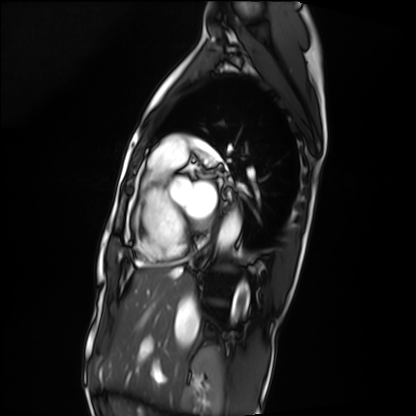
Q: What kind of scan is this?
A: Cardiac MRI.
Subject group: patient.